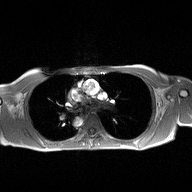
Case:
• modality: 2D phase-contrast cine MRI of the ascending aorta